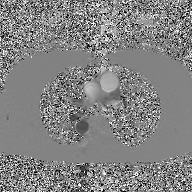
Clinical context: 2D phase-contrast cine MRI of the ascending aorta, GAN super-resolution reconstruction.